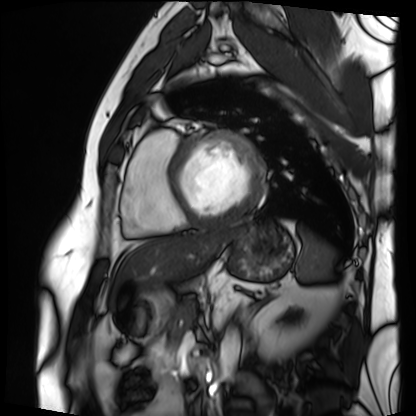
Cardiac MRI. Subject group: patient.